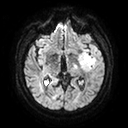
3 Tesla brain MRI.
Study: ring-enhancing brain masses.